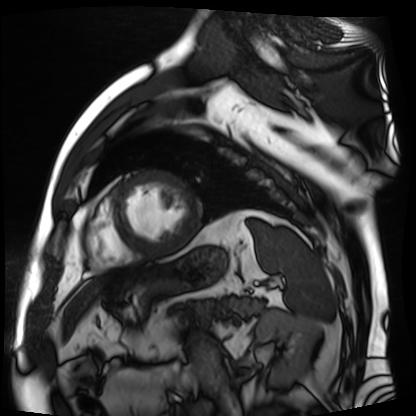
Cardiac MR image of the myocardium. Subject cohort: cardiac patient.